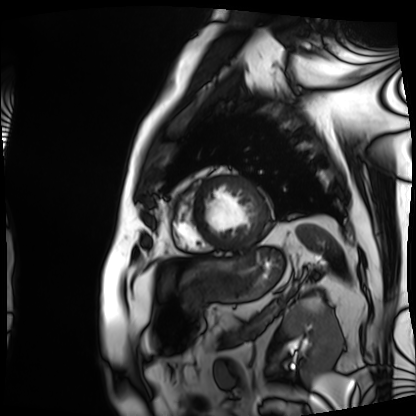
{
  "modality": "cardiac MRI",
  "cohort": "patient"
}